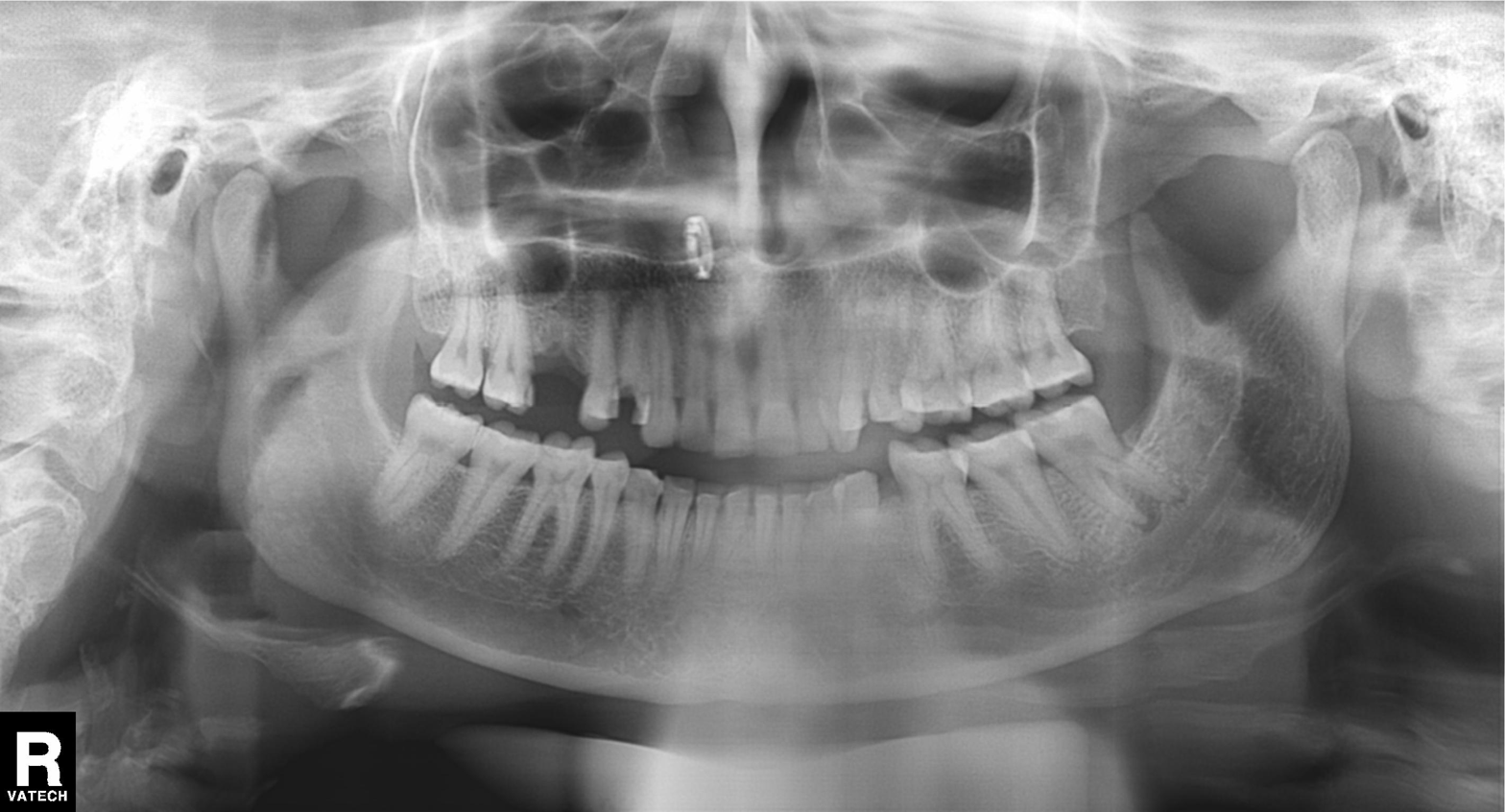
modality: panoramic dental radiograph (orthopantomogram)
finding: alveolar bone loss